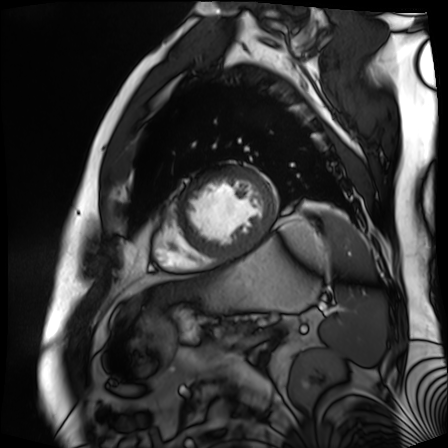
Cardiac MR image of the myocardium.
Subject cohort: cardiac patient.